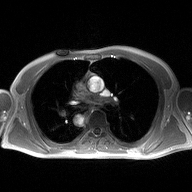
{
  "modality": {
    "type": "2D phase-contrast cine MRI",
    "region": "ascending aorta",
    "reconstruction": "high-resolution GRAPPA acquisition"
  }
}